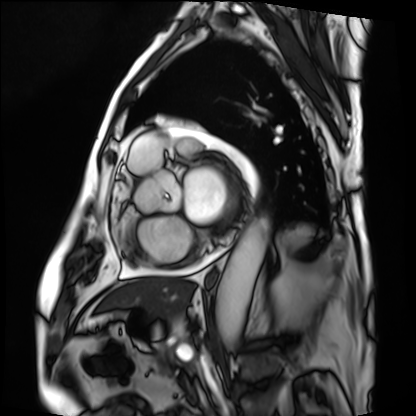
Summary:
Cardiac MRI. Subject group: patient.